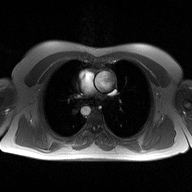
{
  "modality": {
    "type": "2D phase-contrast cine MRI",
    "region": "ascending aorta",
    "reconstruction": "high-resolution GRAPPA acquisition"
  }
}